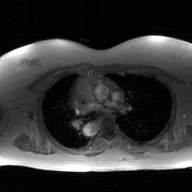
{
  "modality": {
    "type": "2D phase-contrast cine MRI",
    "region": "ascending aorta",
    "reconstruction": "GAN super-resolution reconstruction"
  }
}